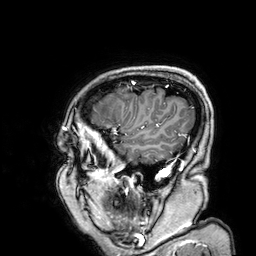
Clinical context:
3 Tesla brain MRI. Series: 3D T1-weighted. Study: ring-enhancing brain masses.